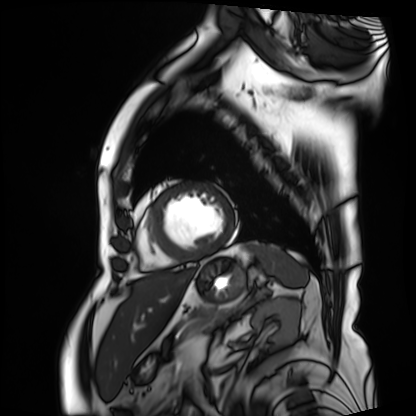
modality — cardiac MRI; subject group — patient.